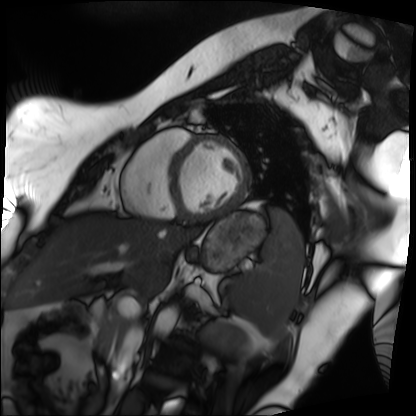
Cardiac MRI.
Subject group: patient.